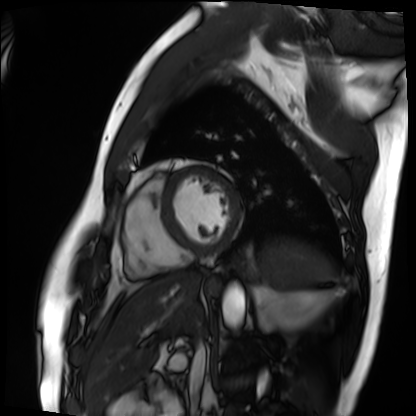
modality — cardiac MRI | subject group — patient.